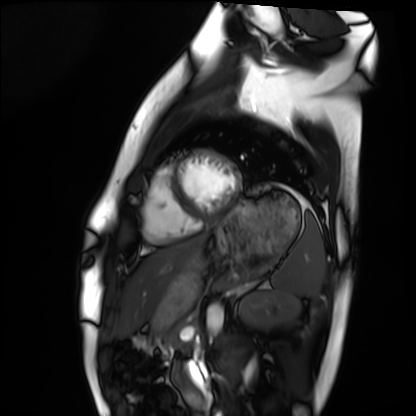
| field | value |
|---|---|
| modality | cardiac MRI |
| subject group | healthy volunteer |